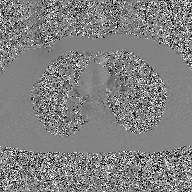
2D phase-contrast cine MRI of the ascending aorta, GAN super-resolution reconstruction.